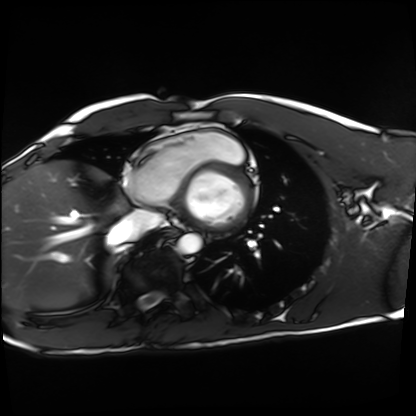
Case:
- modality — cardiac MRI
- subject group — healthy volunteer